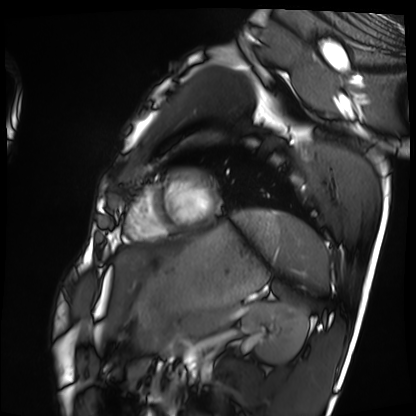
modality: cardiac MRI
cohort: healthy volunteer